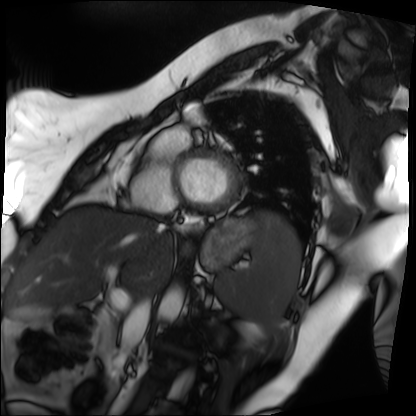
| field | value |
|---|---|
| modality | cardiac MRI |
| subject group | patient |